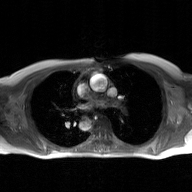
Q: What kind of scan is this?
A: 2D phase-contrast cine MRI of the ascending aorta, GAN super-resolution reconstruction.